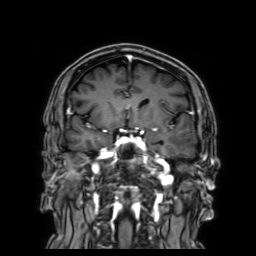
Q: What kind of scan is this?
A: 3 Tesla brain MRI.
Q: Series?
A: 3D T1-weighted with SENSE.
Study: ring-enhancing brain masses.